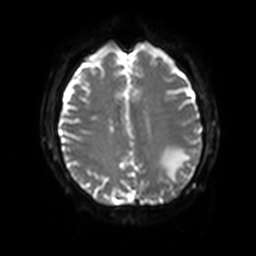
Summary: 3 Tesla brain MRI. Series: diffusion-weighted imaging with SENSE (WIP). Study: ring-enhancing brain masses.